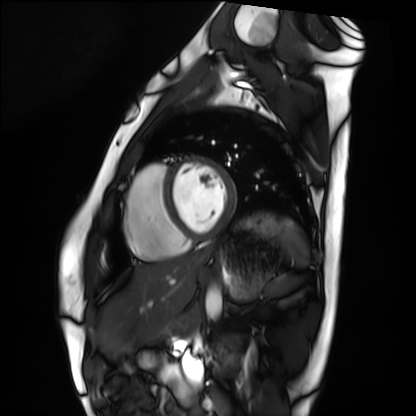
Clinical context:
Cardiac MRI. Subject group: healthy volunteer.